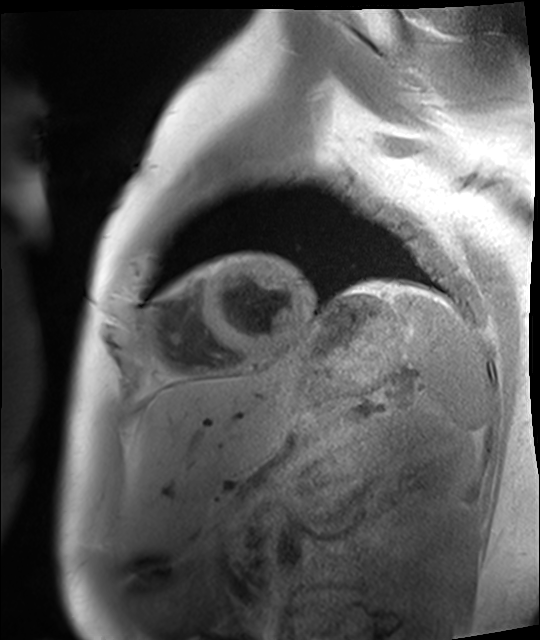
Summary:
Cardiac MRI. Subject group: healthy volunteer.